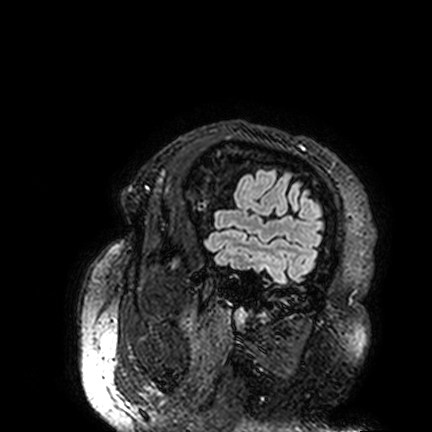
Summary:
3 Tesla brain MRI. Series: FLAIR VISTA. Study: ring-enhancing brain masses.